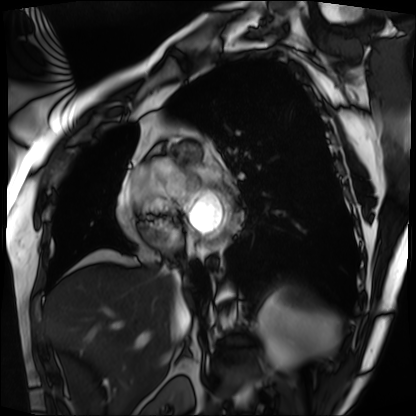
{
  "modality": "cardiac MRI",
  "cohort": "patient"
}